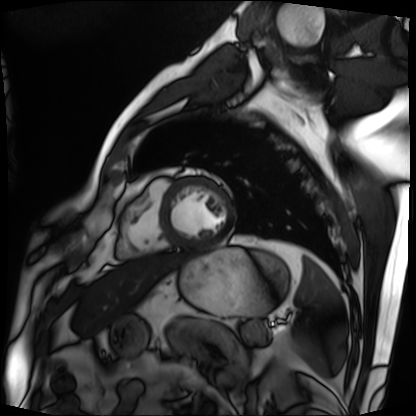
{"modality": "cardiac MRI", "cohort": "patient"}